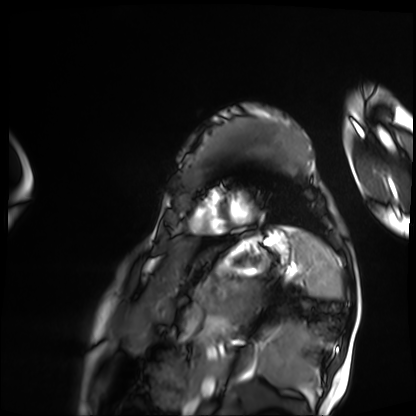
Cardiac MRI.
Subject group: patient.